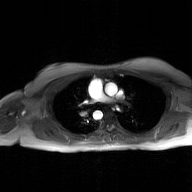
2D phase-contrast cine MRI of the ascending aorta, GAN super-resolution reconstruction.